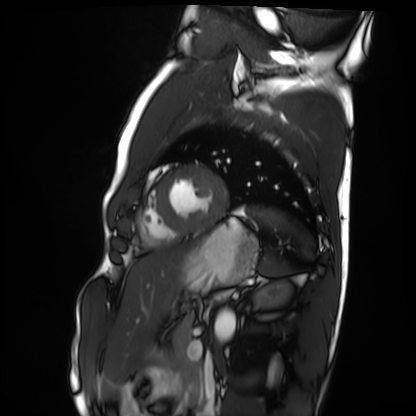
Cardiac MRI. Subject group: healthy volunteer.